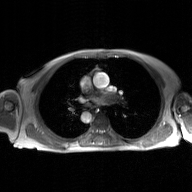
modality — 2D phase-contrast cine MRI of the ascending aorta, GAN super-resolution reconstruction